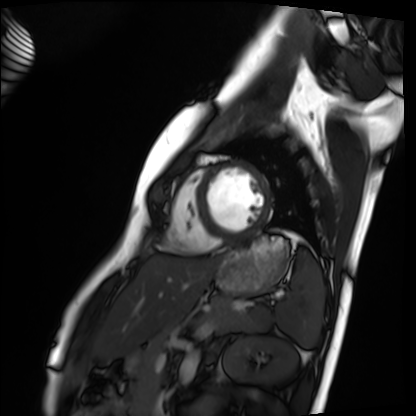
Summary:
Cardiac MRI. Subject group: healthy volunteer.